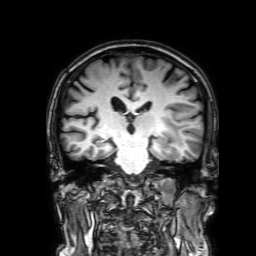
Q: What kind of scan is this?
A: 3 Tesla brain MRI.
Q: Series?
A: 3D T1-weighted with SENSE.
Study: ring-enhancing brain masses.